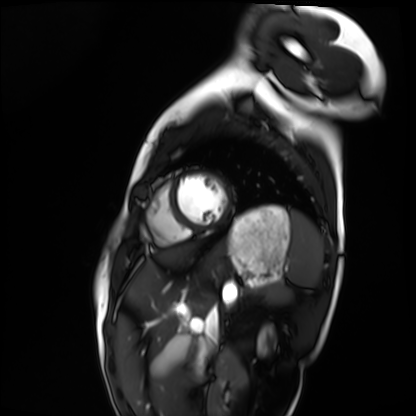
modality=cardiac MRI | subject group=healthy volunteer.